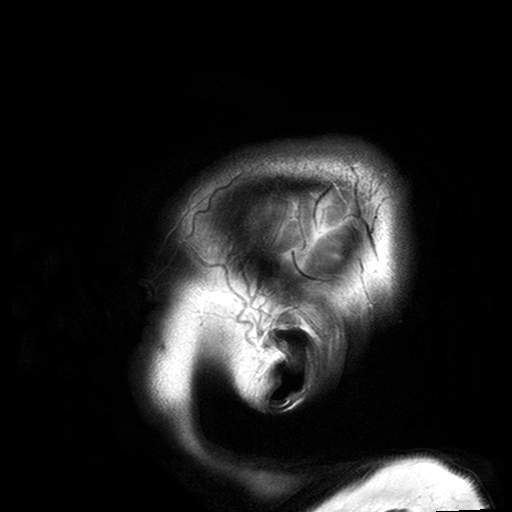
Summary: 3 Tesla brain MRI. Study: ring-enhancing brain masses.